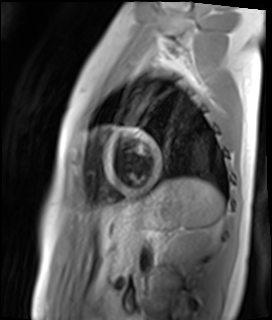
Cardiac MR image of the myocardium.
Subject cohort: healthy volunteer.